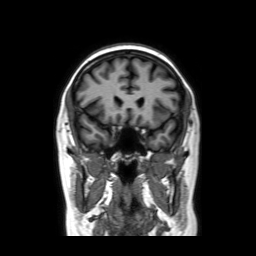
  modality:
    type: brain MRI
    field_strength: 3T
  study_topic: ring-enhancing brain masses